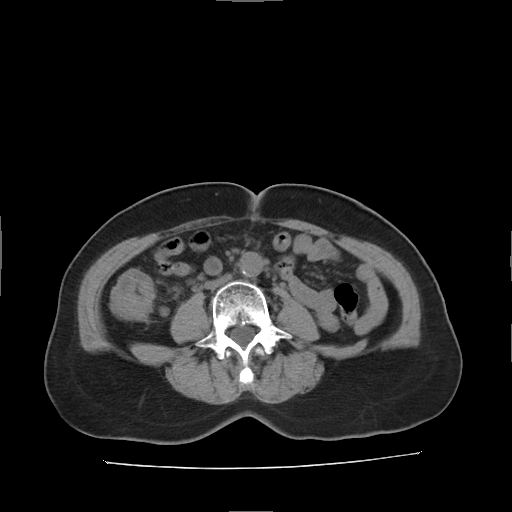
Multiphase abdominal CT, liver, non-contrast phase. Patient: female, age 61.